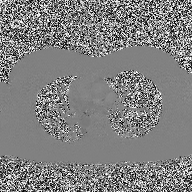
2D phase-contrast cine MRI of the ascending aorta, high-resolution GRAPPA acquisition.